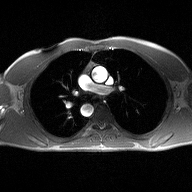
Summary:
2D phase-contrast cine MRI of the ascending aorta, high-resolution GRAPPA acquisition.